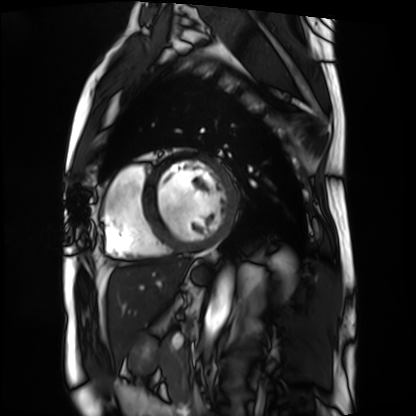
modality: cardiac MRI; subject group: patient.